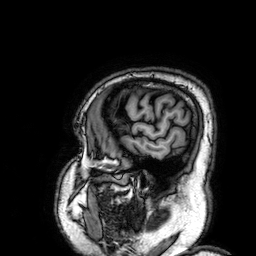
3 Tesla brain MRI.
Series: 3D T1-weighted.
Study: ring-enhancing brain masses.